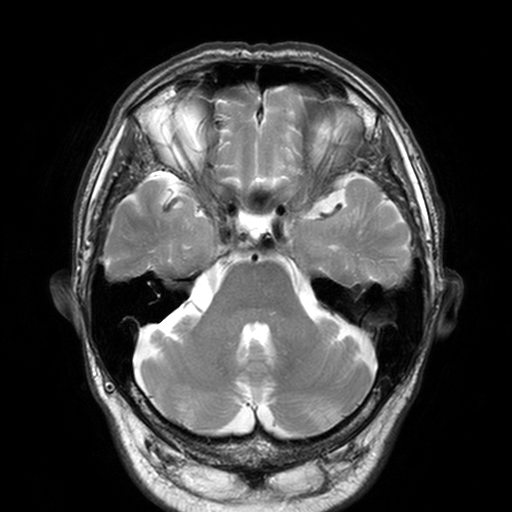
3 Tesla brain MRI. Series: T2-weighted turbo spin echo, 3 mm. Study: ring-enhancing brain masses.